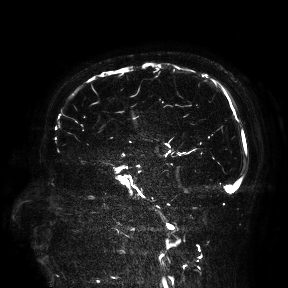
{
  "modality": {
    "type": "brain MRI",
    "field_strength": "3T"
  },
  "study_topic": "ring-enhancing brain masses"
}